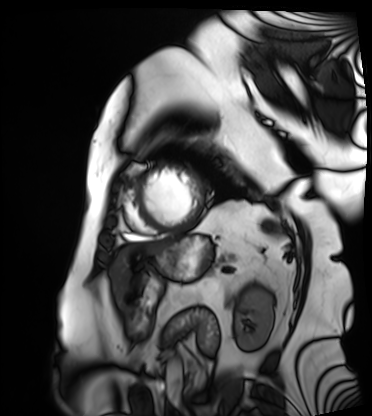
{"modality": "cardiac MRI", "cohort": "patient"}